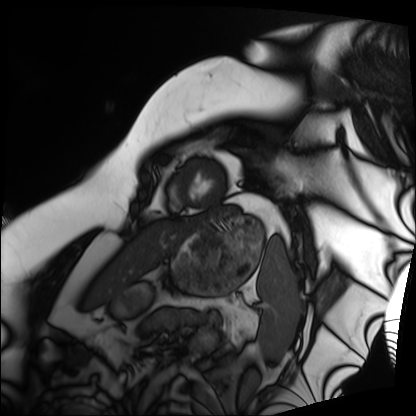
Cardiac MRI.
Subject group: patient.